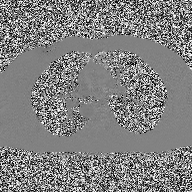
2D phase-contrast cine MRI of the ascending aorta, high-resolution GRAPPA acquisition.